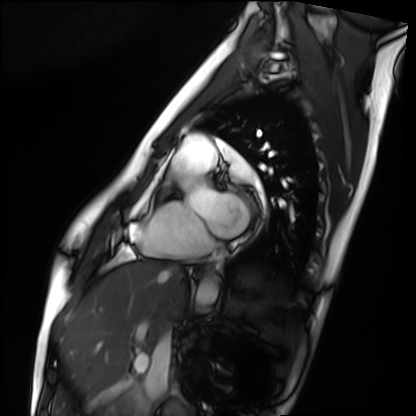
{"modality": "cardiac MRI", "cohort": "healthy volunteer"}